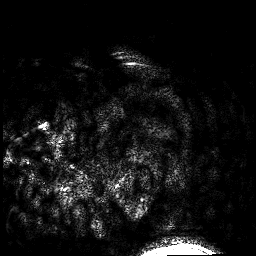
Clinical context: 3 Tesla brain MRI. Series: 3D T1-weighted. Study: ring-enhancing brain masses.